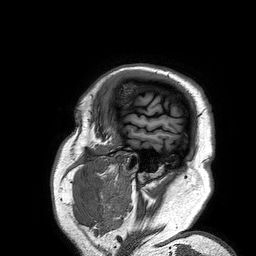
3 Tesla brain MRI.
Series: 3D T1-weighted turbo field echo.
Study: ring-enhancing brain masses.